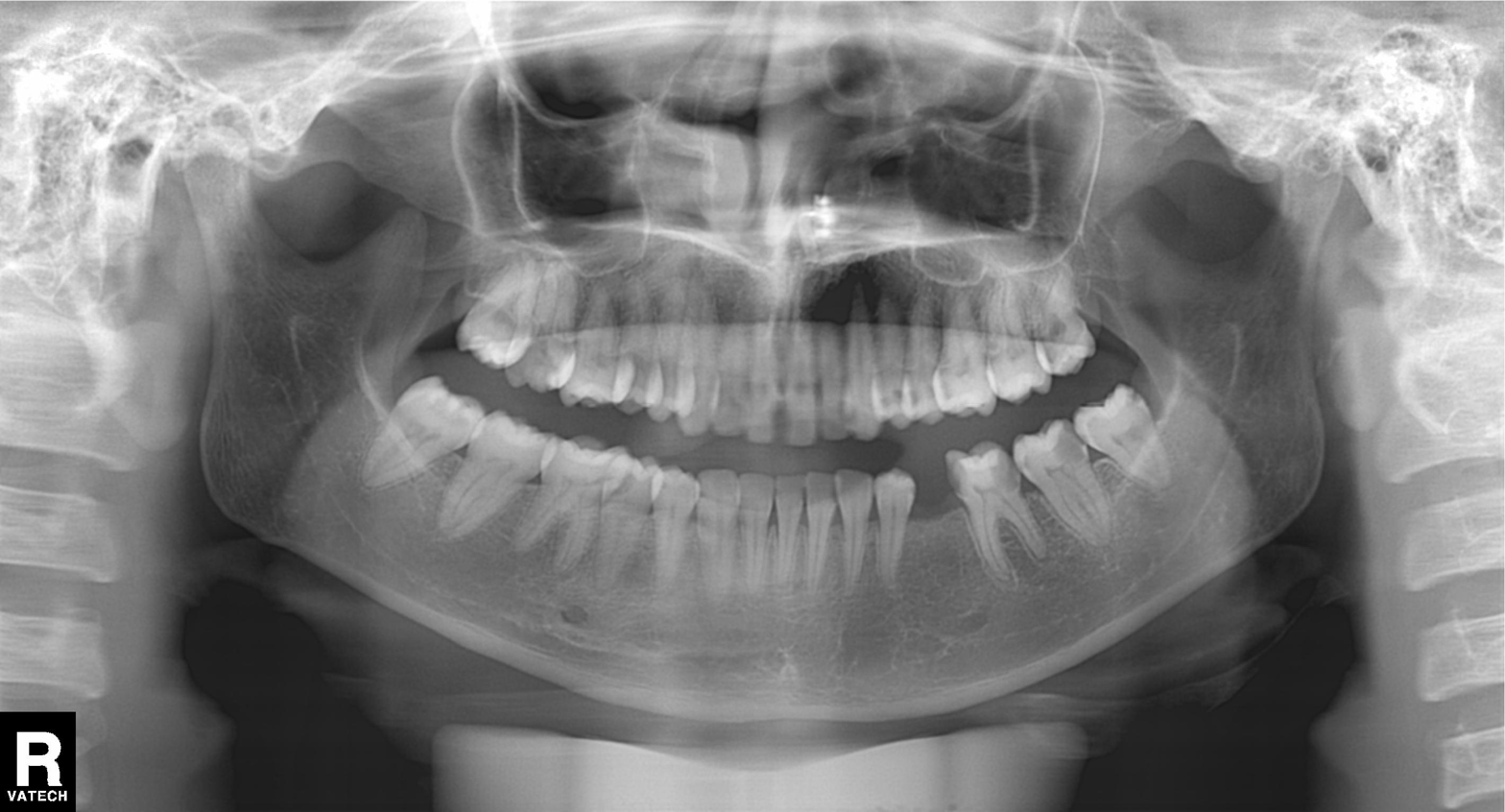
Case summary: Panoramic dental radiograph (orthopantomogram).
Impression: Alveolar bone loss.